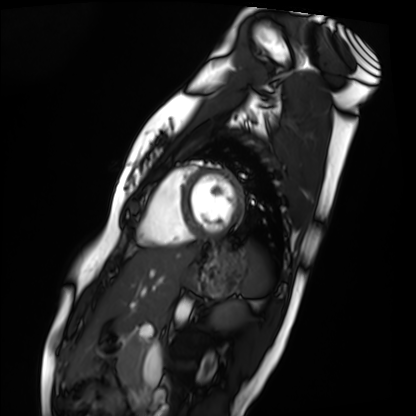
Cardiac MRI.
Subject group: healthy volunteer.